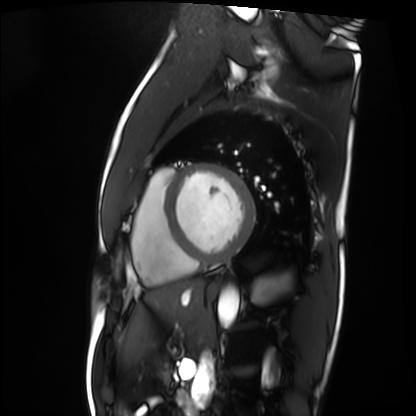
Case:
* modality — cardiac MRI
* subject group — patient